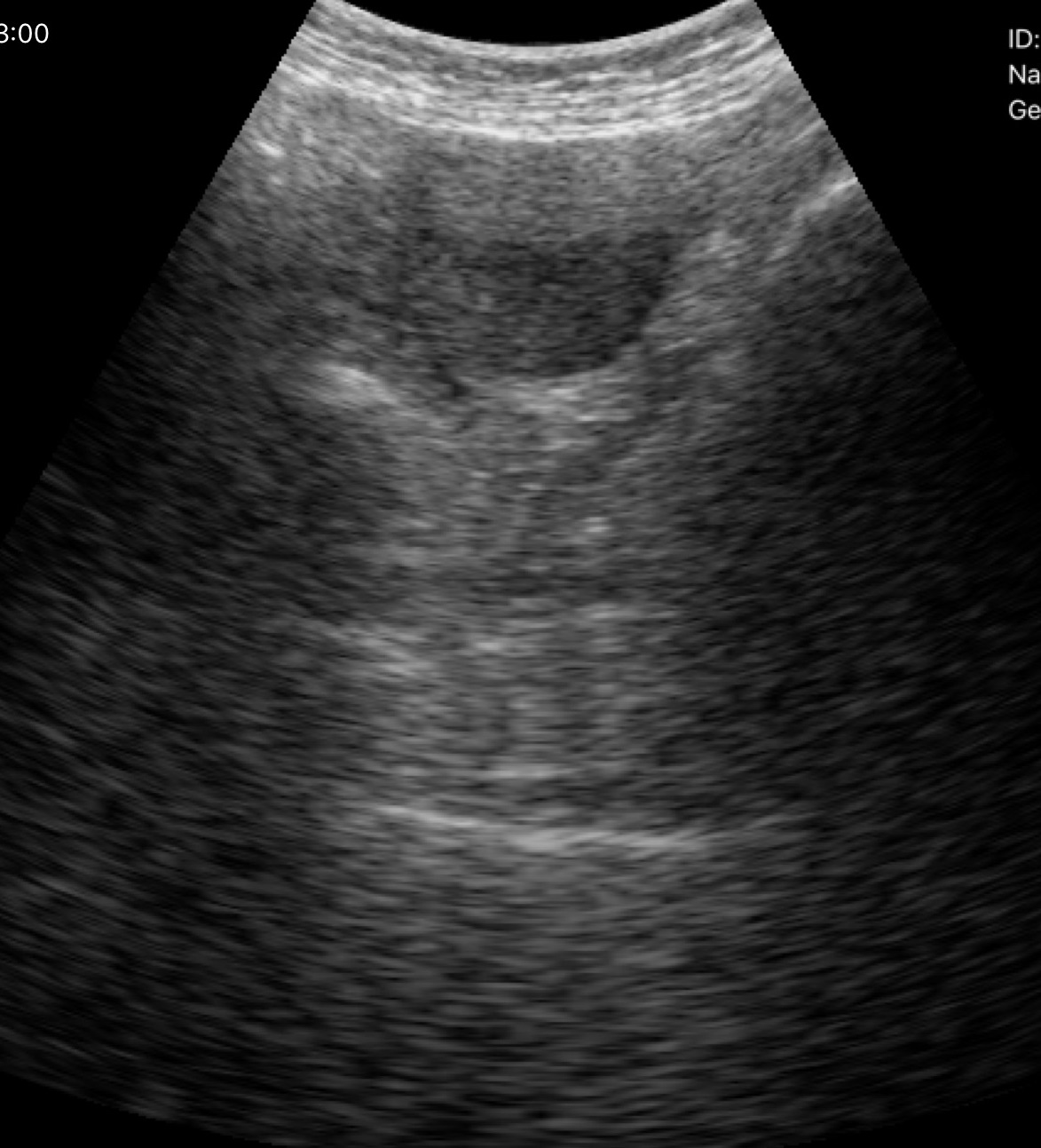
Case summary: Genitourinary ultrasound.